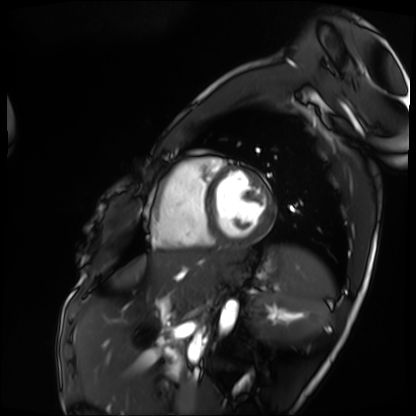
{
  "modality": "cardiac MRI",
  "cohort": "patient"
}